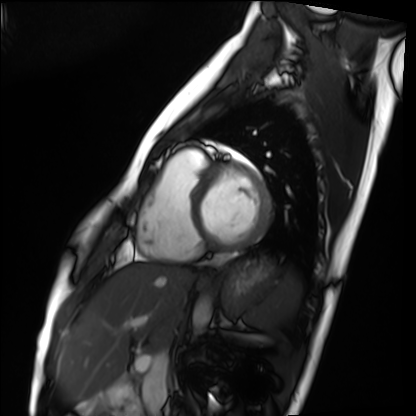
Q: What kind of scan is this?
A: Cardiac MRI.
Subject group: healthy volunteer.